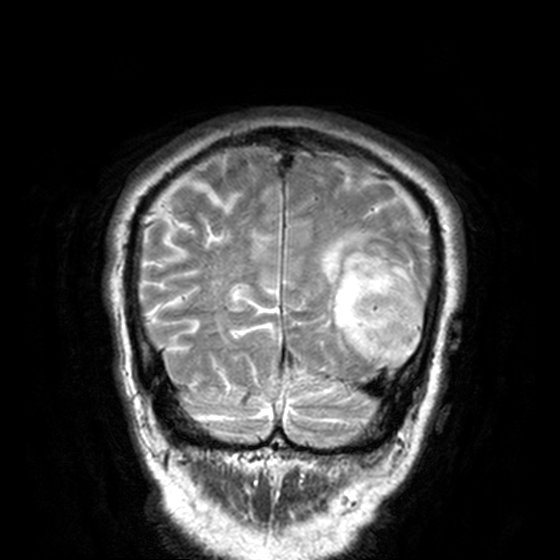
3 Tesla brain MRI. Study: ring-enhancing brain masses.